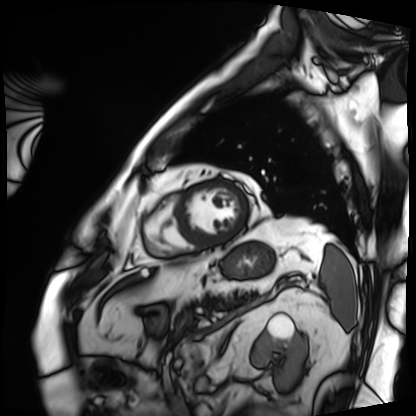
Cardiac MRI. Subject group: patient.